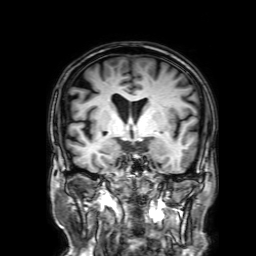
| field | value |
|---|---|
| modality | 3 Tesla brain MRI |
| series | 3D T1-weighted with SENSE |
| study | ring-enhancing brain masses |